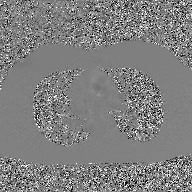
Q: What kind of scan is this?
A: 2D phase-contrast cine MRI of the ascending aorta, GAN super-resolution reconstruction.